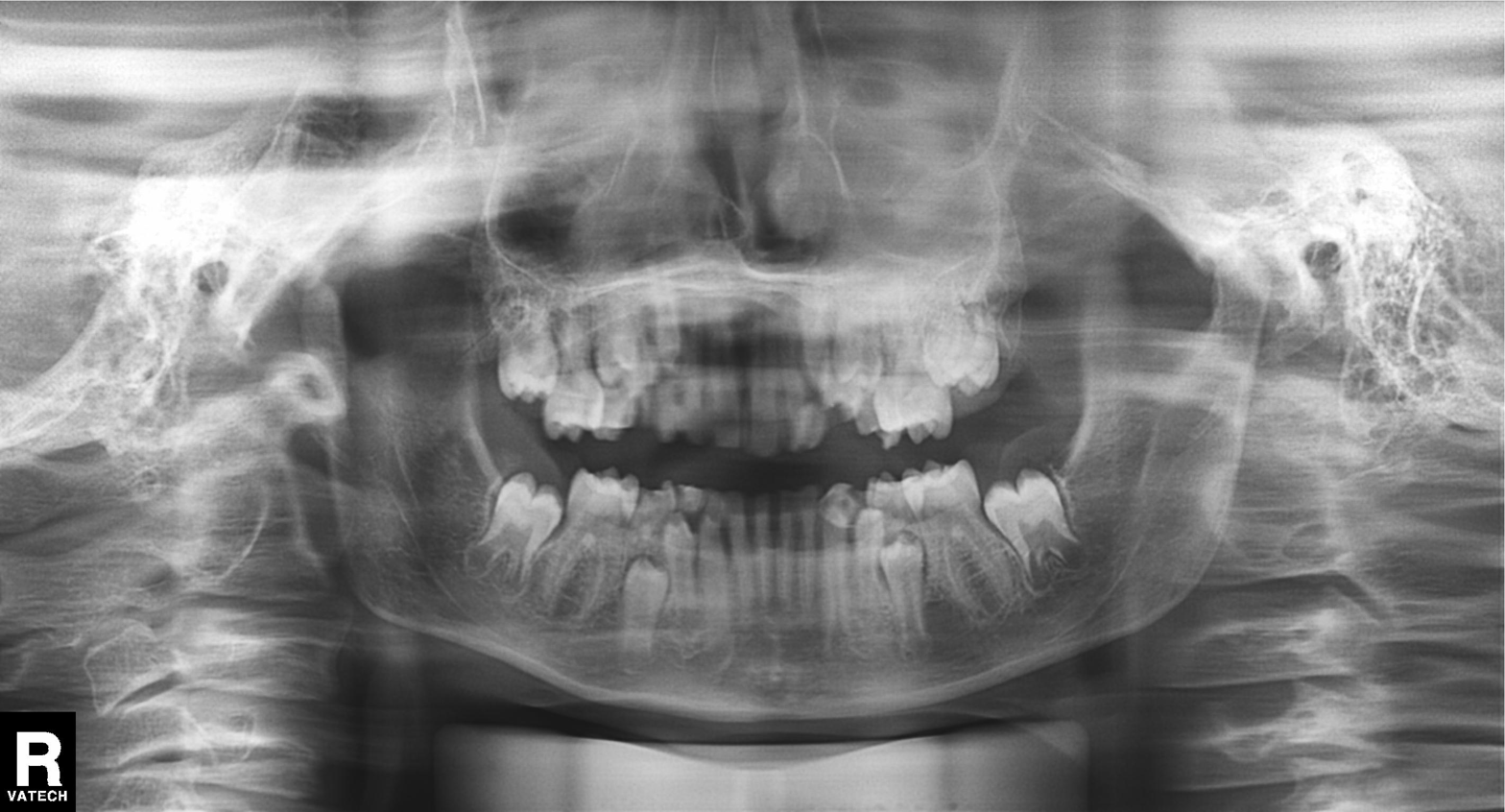
Summary:
Panoramic dental radiograph (orthopantomogram).
Impression:
Tooth impaction.